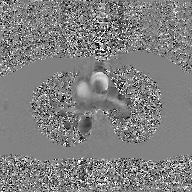
2D phase-contrast cine MRI of the ascending aorta, GAN super-resolution reconstruction.